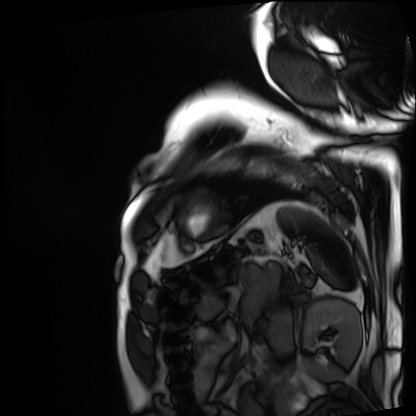
Case summary:
Cardiac MRI. Subject group: patient.